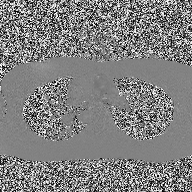
2D phase-contrast cine MRI of the ascending aorta, high-resolution GRAPPA acquisition.